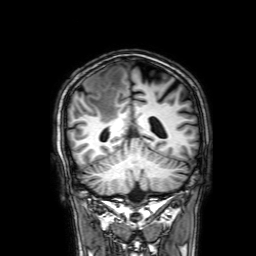
{
  "modality": {
    "type": "brain MRI",
    "field_strength": "3T"
  },
  "study_topic": "ring-enhancing brain masses"
}